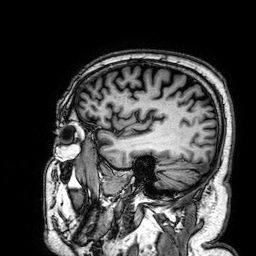
  modality:
    type: brain MRI
    field_strength: 3T
  series: 3D T1-weighted
  study_topic: ring-enhancing brain masses